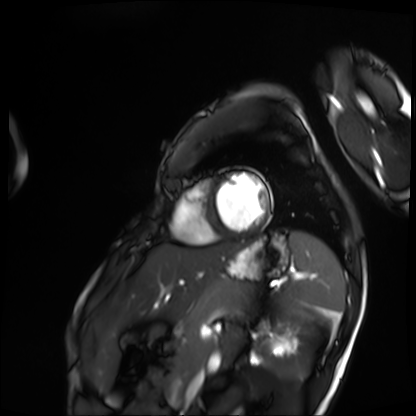
Cardiac MRI.
Subject group: patient.